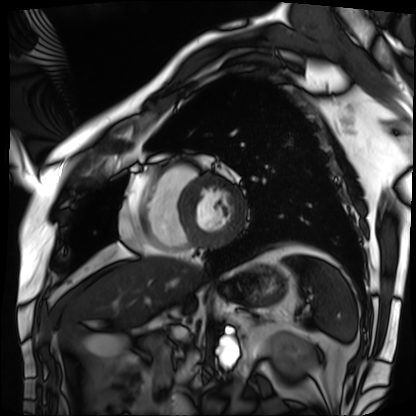
<record>
  <modality>cardiac MRI</modality>
  <cohort>patient</cohort>
</record>